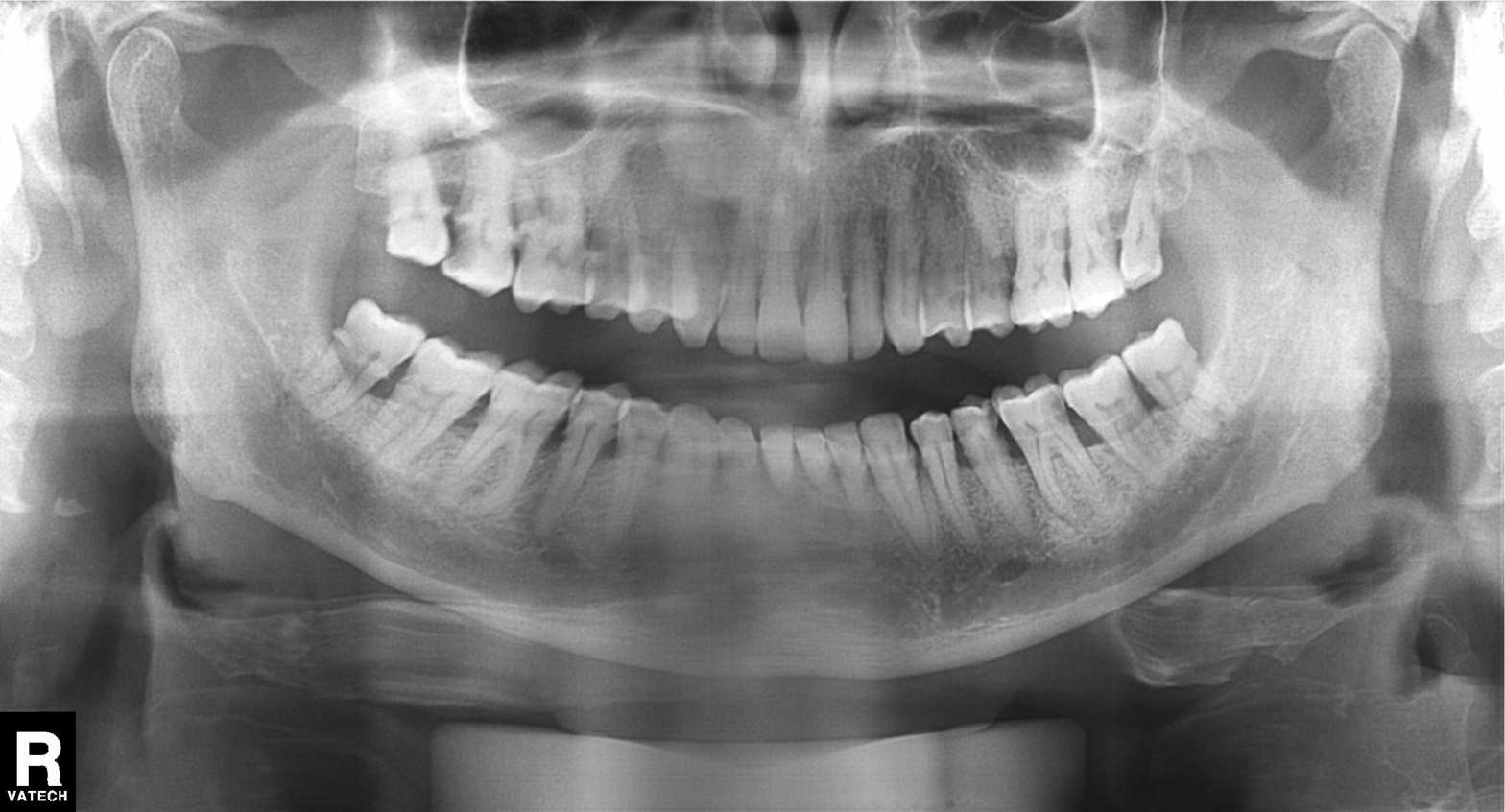
modality = panoramic dental radiograph (orthopantomogram)
finding = alveolar bone loss